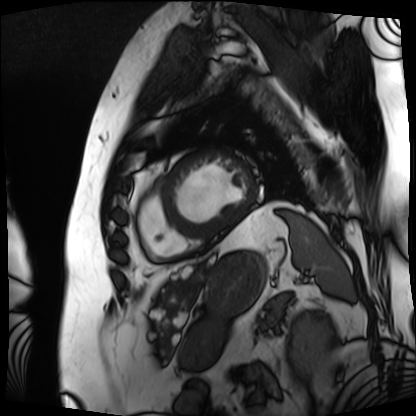
Cardiac MRI.
Subject group: patient.